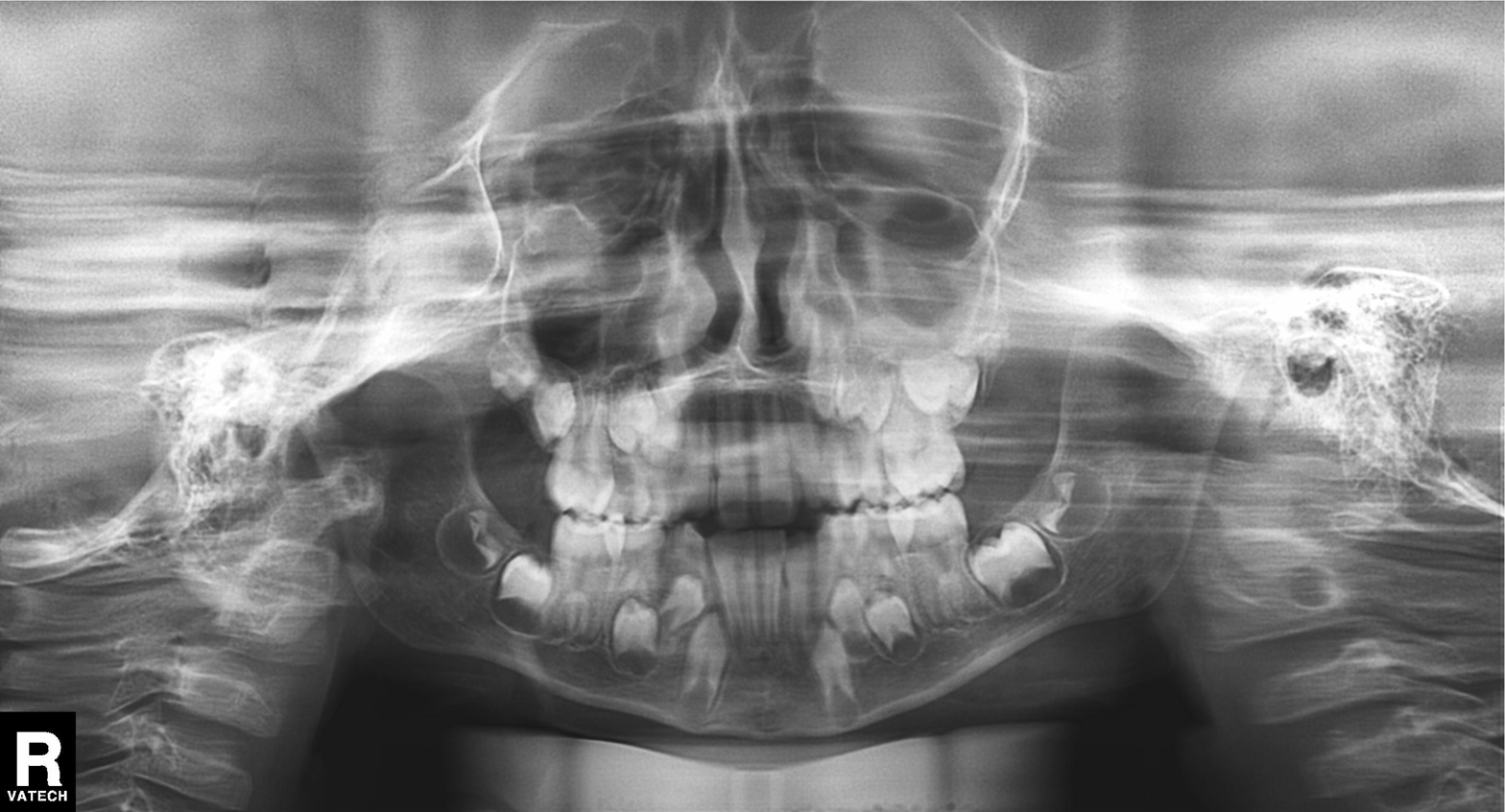
modality=panoramic dental radiograph (orthopantomogram); finding=tooth impaction.